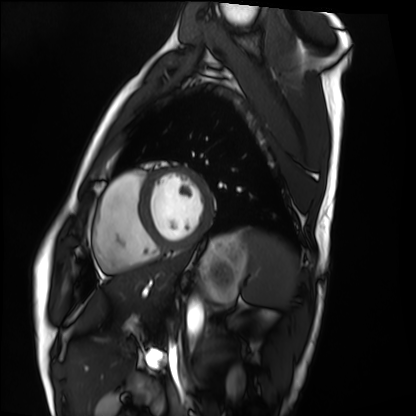
modality: cardiac MRI
subject group: healthy volunteer